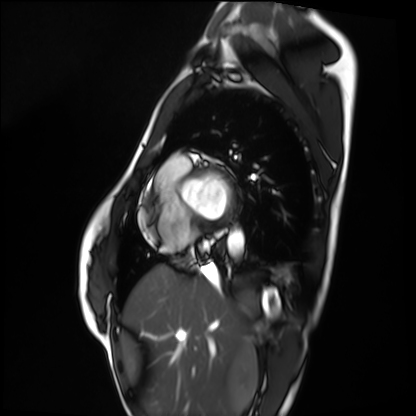
| field | value |
|---|---|
| modality | cardiac MRI |
| subject group | healthy volunteer |